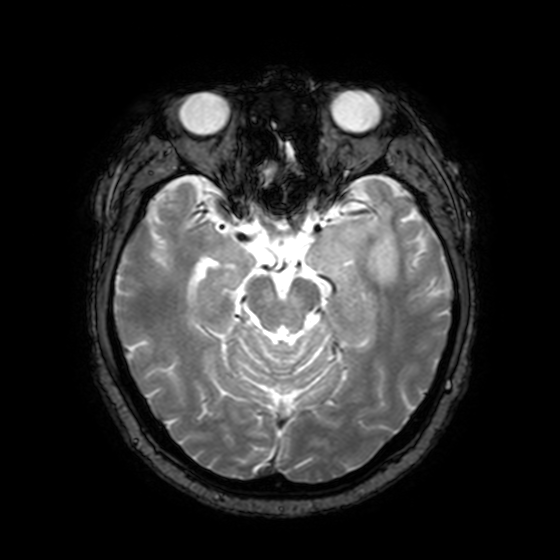
modality — 3 Tesla brain MRI | series — T2-weighted fast field echo with SENSE | study — ring-enhancing brain masses.